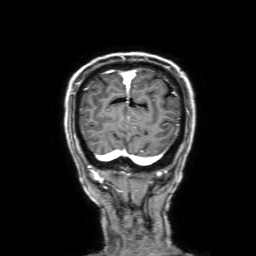
Q: What kind of scan is this?
A: 3 Tesla brain MRI.
Q: Series?
A: 3D T1-weighted with SENSE.
Study: ring-enhancing brain masses.